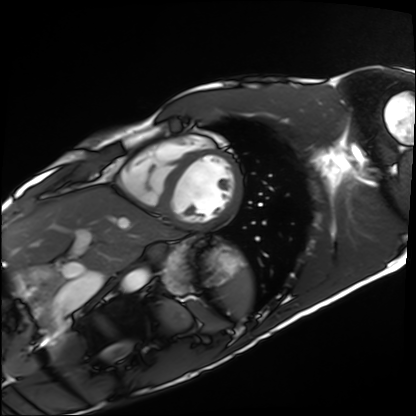
{
  "modality": "cardiac MRI",
  "cohort": "healthy volunteer"
}